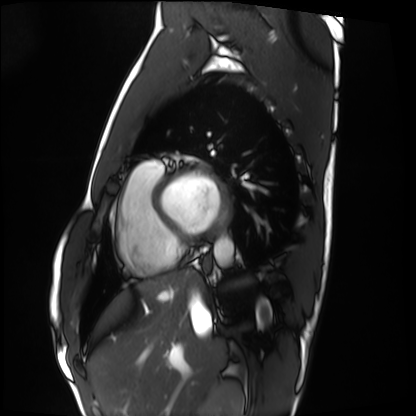
Cardiac MRI.
Subject group: healthy volunteer.